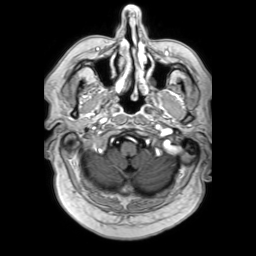
modality=3 Tesla brain MRI | series=3D T1-weighted TFE with SENSE | study=ring-enhancing brain masses.